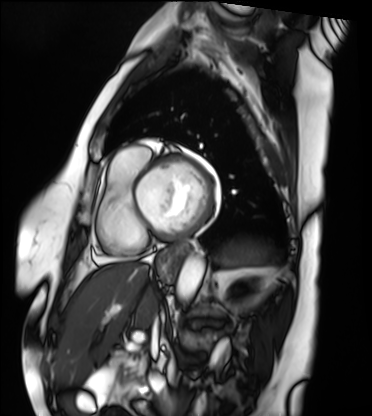
Cardiac MRI. Subject group: patient.